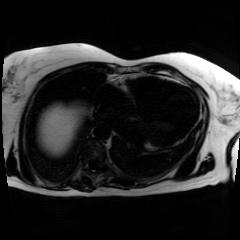
modality=chemical-shift-encoded cardiac MRI.